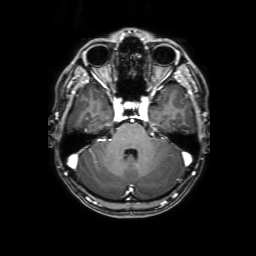
Case summary: 3 Tesla brain MRI. Series: 3D T1-weighted with SENSE. Study: ring-enhancing brain masses.